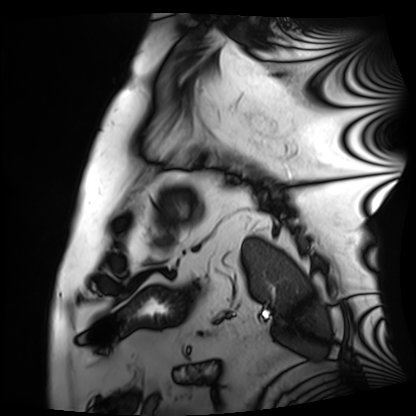
Cardiac MRI.
Subject group: patient.